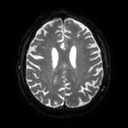
<scan>
  <modality>
    <type>brain MRI</type>
    <field_strength>3T</field_strength>
  </modality>
  <series>diffusion tensor imaging (medium iso)</series>
  <study_topic>ring-enhancing brain masses</study_topic>
</scan>